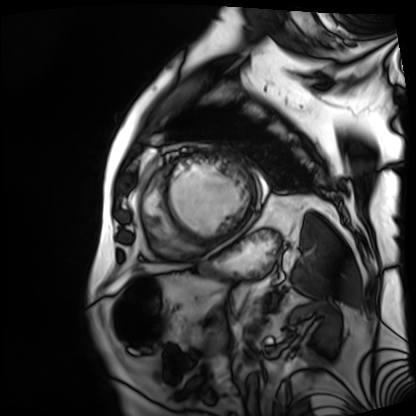
modality: cardiac MRI
cohort: patient